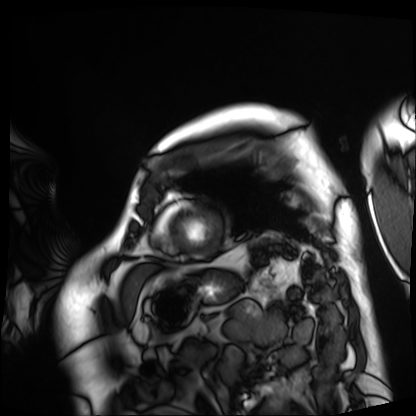
• modality: cardiac MRI
• subject group: patient